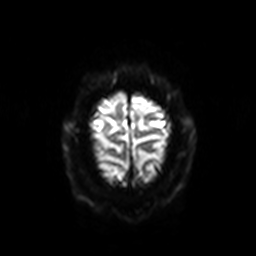
3 Tesla brain MRI. Series: diffusion-weighted imaging with SENSE (WIP). Study: ring-enhancing brain masses.